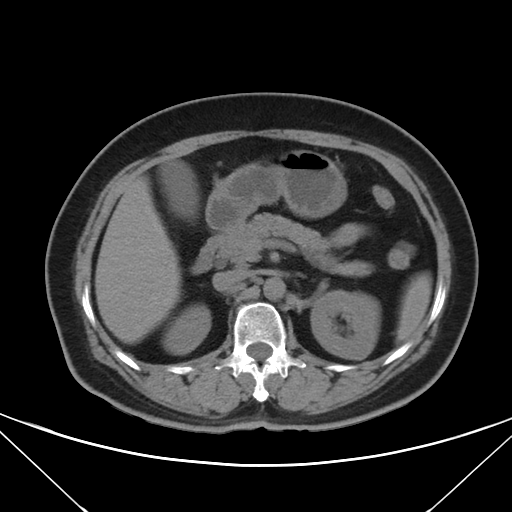
Multiphase abdominal CT, liver, non-contrast phase.
Patient: female, age 60.
History: prior chemotherapy.